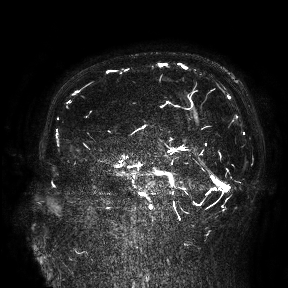
Summary:
3 Tesla brain MRI. Study: ring-enhancing brain masses.